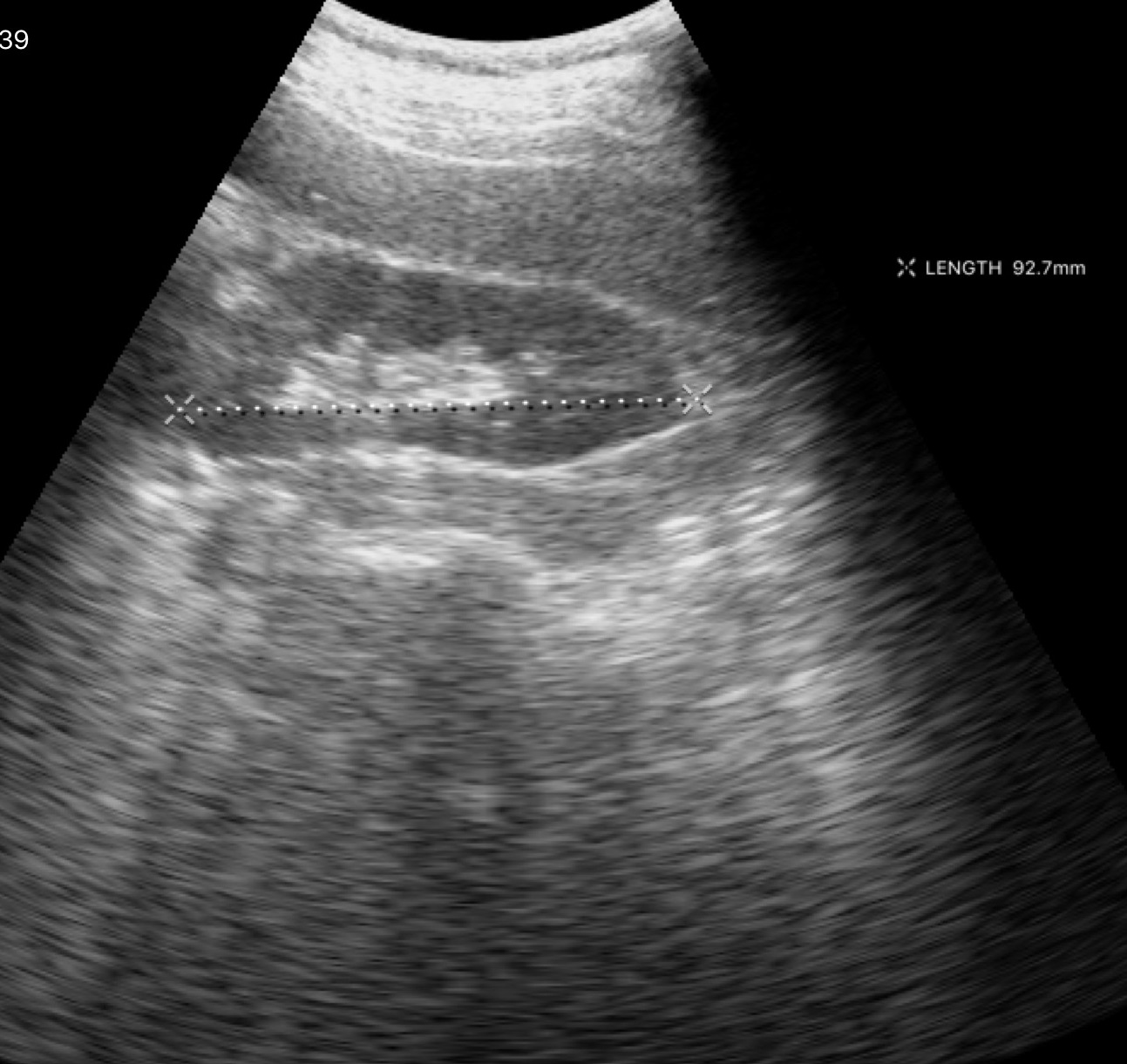
Genitourinary ultrasound.